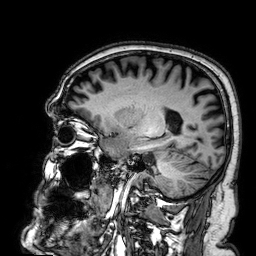
Q: What kind of scan is this?
A: 3 Tesla brain MRI.
Q: Series?
A: 3D T1-weighted.
Study: ring-enhancing brain masses.